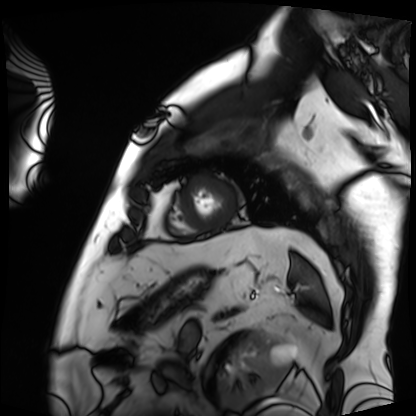
{
  "modality": "cardiac MRI",
  "cohort": "patient"
}